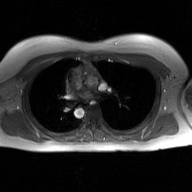
2D phase-contrast cine MRI of the ascending aorta, GAN super-resolution reconstruction.